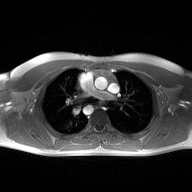
modality: 2D phase-contrast cine MRI of the ascending aorta.